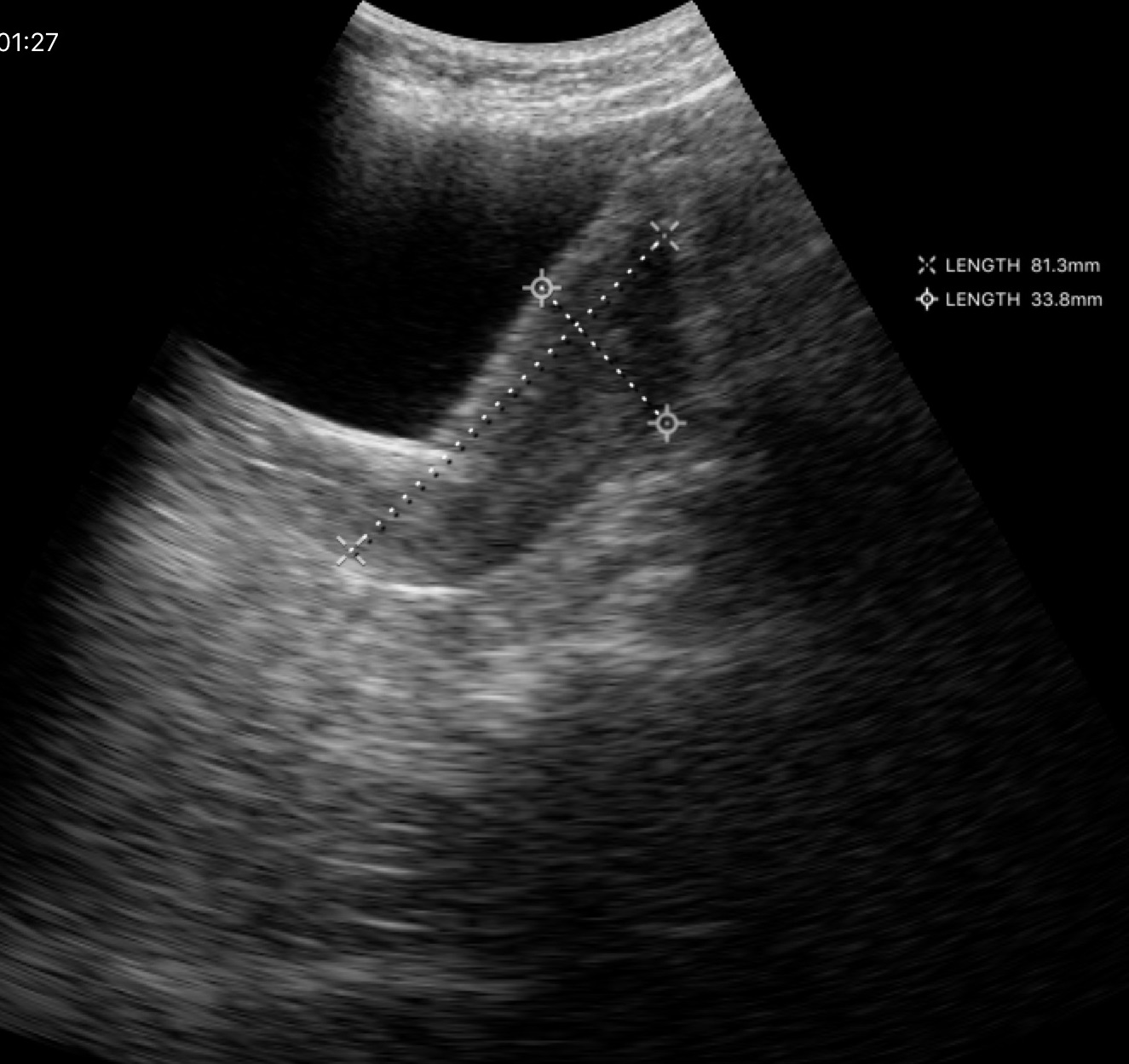
Q: What kind of scan is this?
A: Genitourinary ultrasound.